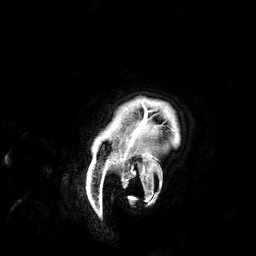
3 Tesla brain MRI. Series: 3D T1-weighted. Study: ring-enhancing brain masses.